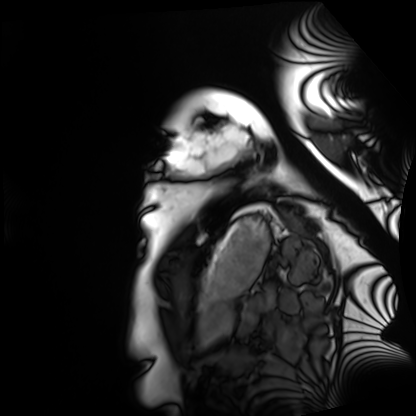
| field | value |
|---|---|
| modality | cardiac MRI |
| subject group | healthy volunteer |